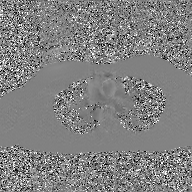
modality: 2D phase-contrast cine MRI of the ascending aorta, GAN super-resolution reconstruction.